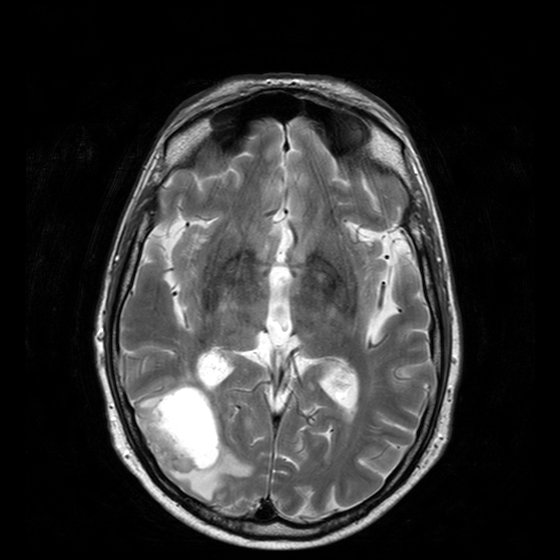
modality = 3 Tesla brain MRI
series = T2-weighted turbo spin echo with CLEAR
study = ring-enhancing brain masses